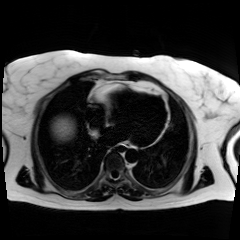
- modality — chemical-shift-encoded cardiac MRI